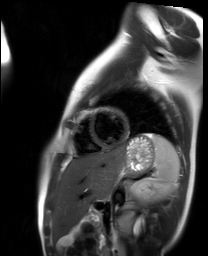
Cardiac MR image of the myocardium. Subject cohort: healthy volunteer.